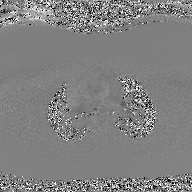
2D phase-contrast cine MRI of the ascending aorta, GAN super-resolution reconstruction.